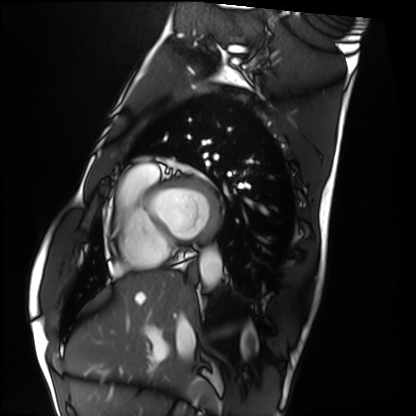
Cardiac MRI. Subject group: healthy volunteer.